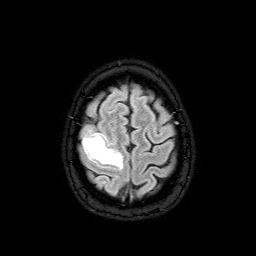
Summary: 3 Tesla brain MRI. Series: FLAIR with SPAIR. Study: ring-enhancing brain masses.